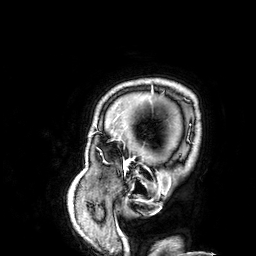
Clinical context: 3 Tesla brain MRI. Series: 3D T1-weighted. Study: ring-enhancing brain masses.